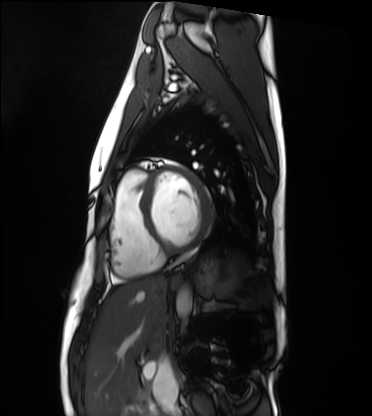
– modality · cardiac MRI
– subject group · healthy volunteer